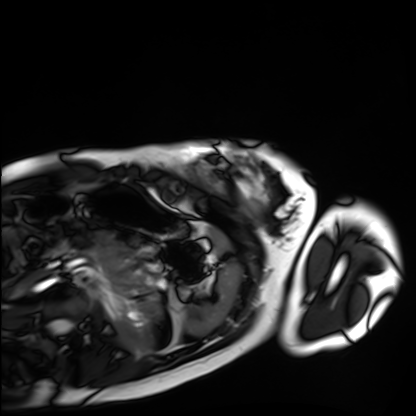
Cardiac MRI.
Subject group: healthy volunteer.